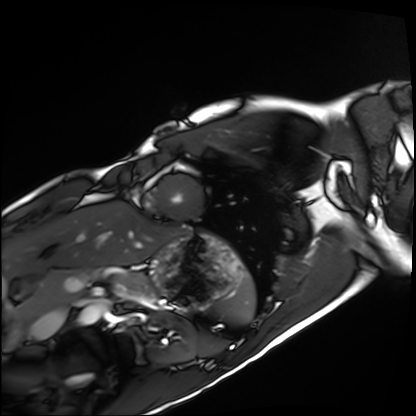
Cardiac MRI. Subject group: healthy volunteer.